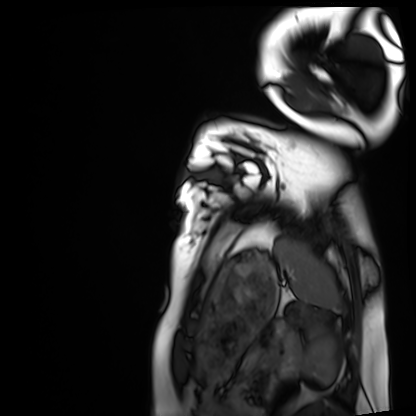
Q: What kind of scan is this?
A: Cardiac MRI.
Subject group: healthy volunteer.